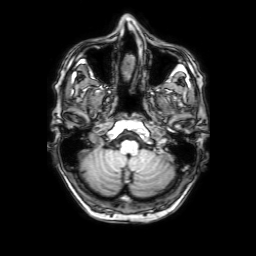
3 Tesla brain MRI. Series: 3D T1-weighted with SENSE. Study: ring-enhancing brain masses.